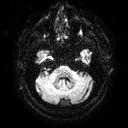
{
  "modality": {
    "type": "brain MRI",
    "field_strength": "3T"
  },
  "series": "diffusion tensor imaging (medium iso)",
  "study_topic": "ring-enhancing brain masses"
}